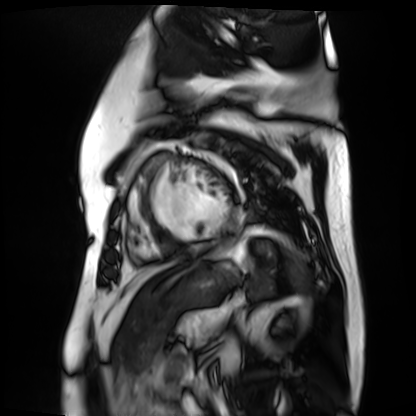
Clinical context: Cardiac MR image of the myocardium. Subject cohort: cardiac patient.